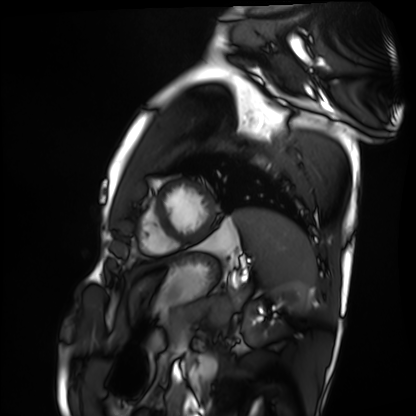
Cardiac MRI. Subject group: healthy volunteer.